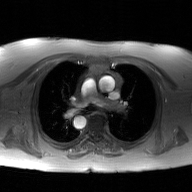
Summary: 2D phase-contrast cine MRI of the ascending aorta, GAN super-resolution reconstruction.